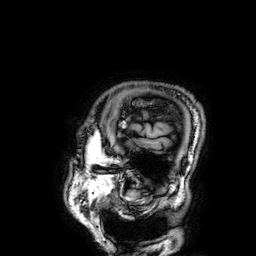
Clinical context: 3 Tesla brain MRI. Study: ring-enhancing brain masses.